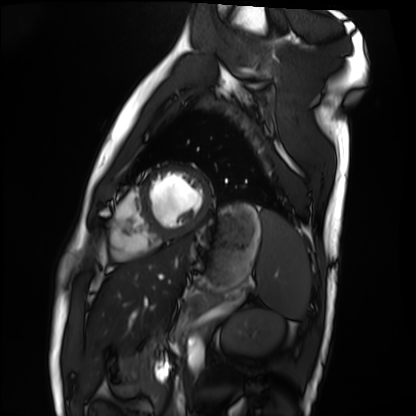
| field | value |
|---|---|
| modality | cardiac MRI |
| subject group | healthy volunteer |